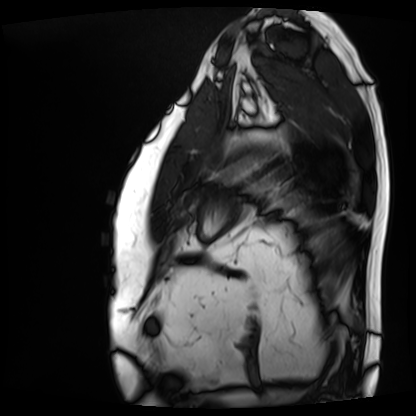
Cardiac MRI. Subject group: patient.